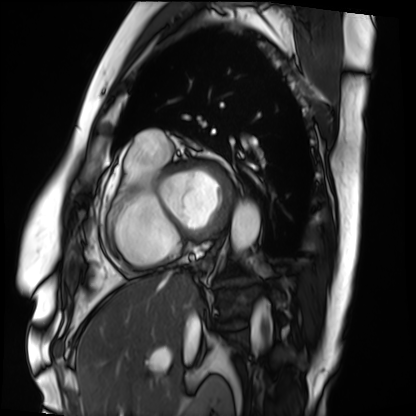
Clinical context: Cardiac MRI. Subject group: patient.